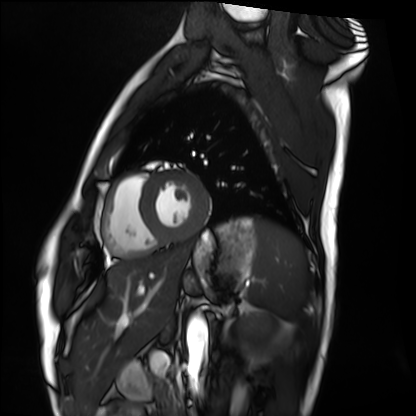
Cardiac MRI. Subject group: healthy volunteer.